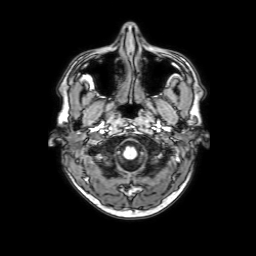
Summary: 3 Tesla brain MRI. Series: 3D T1-weighted with SENSE. Study: ring-enhancing brain masses.